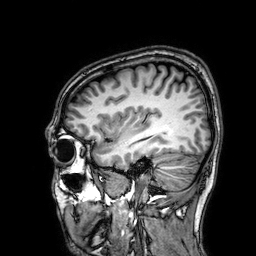
3 Tesla brain MRI. Series: 3D T1-weighted. Study: ring-enhancing brain masses.